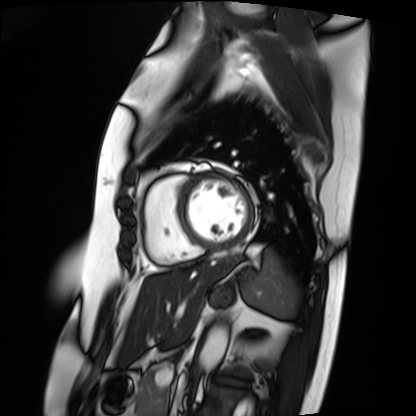
Cardiac MRI.
Subject group: patient.